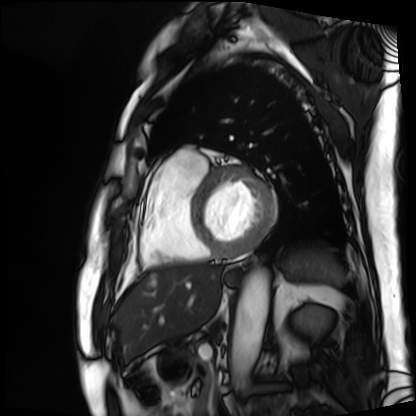
Summary: Cardiac MRI. Subject group: patient.